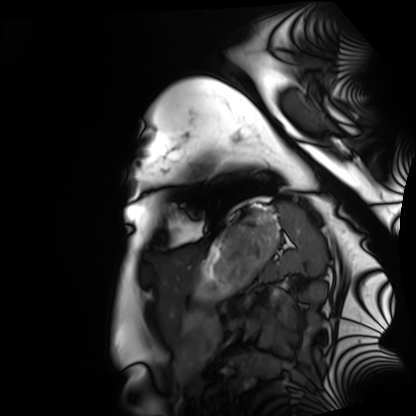
Cardiac MRI. Subject group: healthy volunteer.